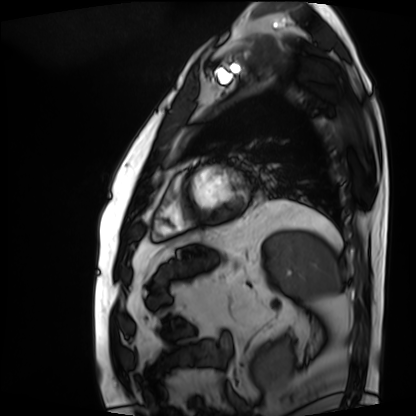
modality: cardiac MRI | subject group: patient.